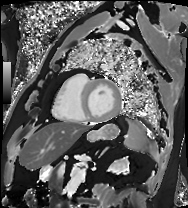
Cardiac MRI. Subject group: patient.